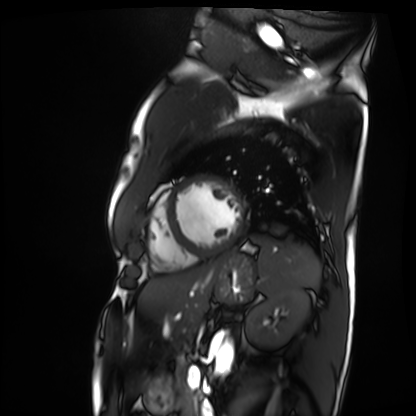
Cardiac MRI. Subject group: patient.